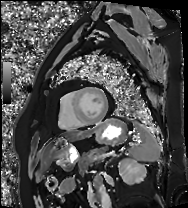
Cardiac MRI. Subject group: patient.